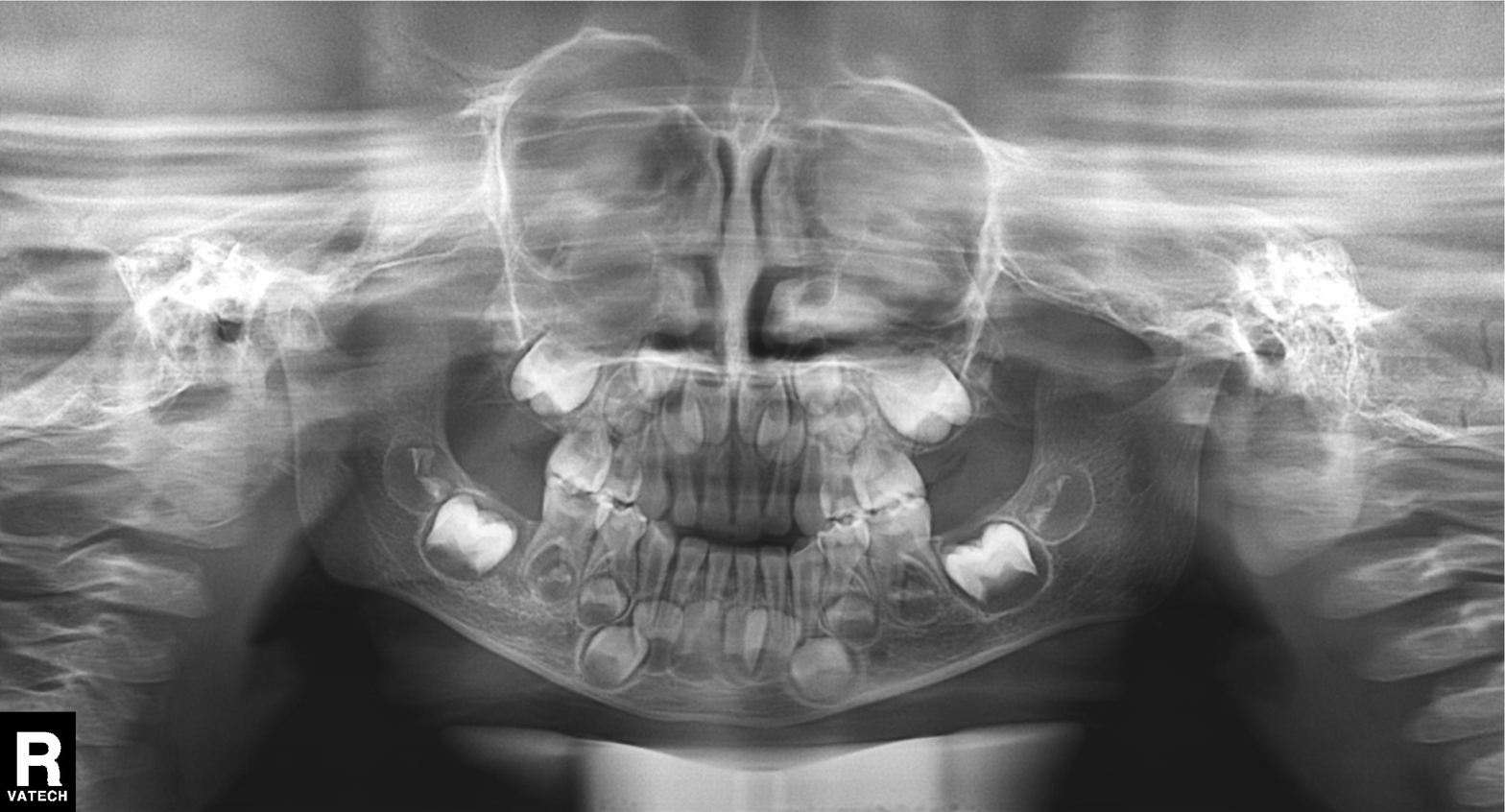
Q: What kind of scan is this?
A: Panoramic dental radiograph (orthopantomogram).
Q: What is the radiographic finding?
A: Alveolar bone loss.